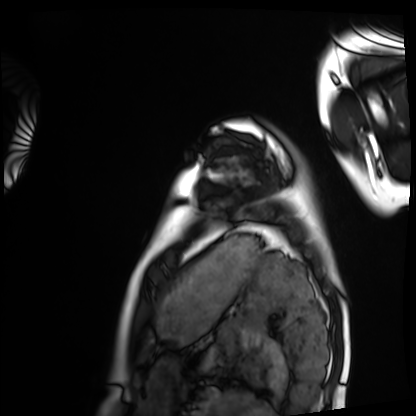
Cardiac MRI.
Subject group: healthy volunteer.